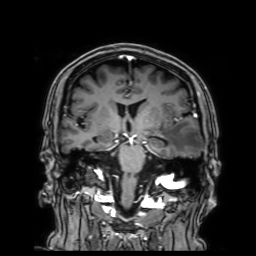
3 Tesla brain MRI.
Series: 3D T1-weighted with SENSE.
Study: ring-enhancing brain masses.